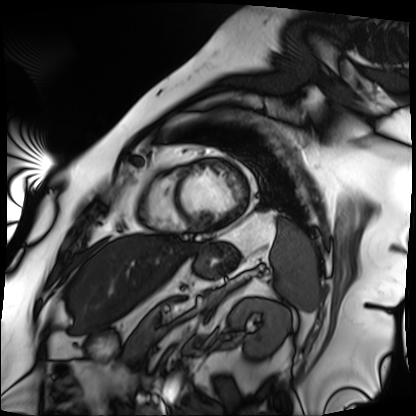
- modality — cardiac MRI
- subject group — patient